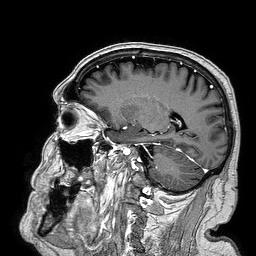
  modality:
    type: brain MRI
    field_strength: 3T
  series: 3D T1-weighted turbo field echo
  study_topic: ring-enhancing brain masses